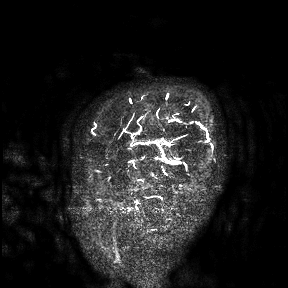
  modality:
    type: brain MRI
    field_strength: 3T
  study_topic: ring-enhancing brain masses